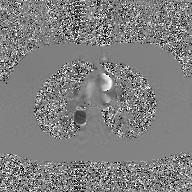
Case summary: 2D phase-contrast cine MRI of the ascending aorta, GAN super-resolution reconstruction.